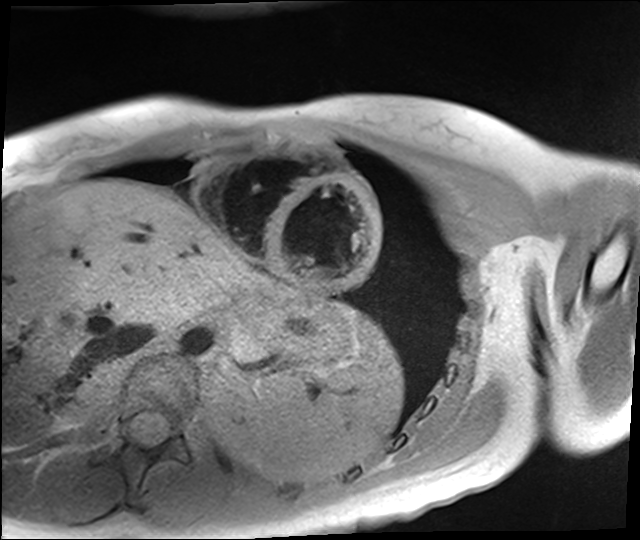
Summary:
Cardiac MR image of the myocardium. Subject cohort: healthy volunteer.